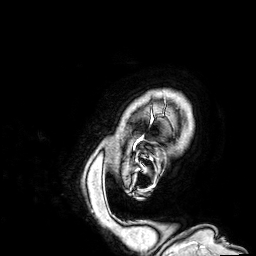
3 Tesla brain MRI. Series: 3D T1-weighted. Study: ring-enhancing brain masses.